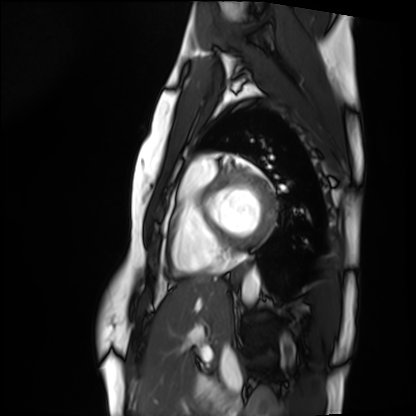
Cardiac MRI.
Subject group: healthy volunteer.